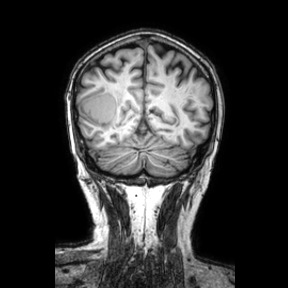
Summary:
3 Tesla brain MRI. Series: coronal. Study: ring-enhancing brain masses.